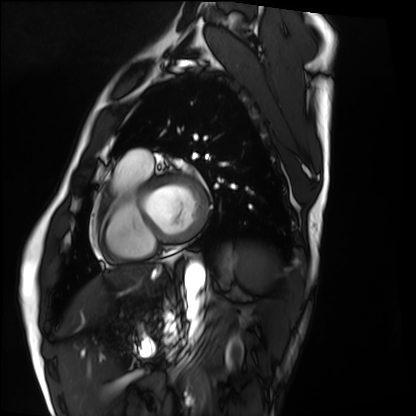
Cardiac MRI.
Subject group: healthy volunteer.